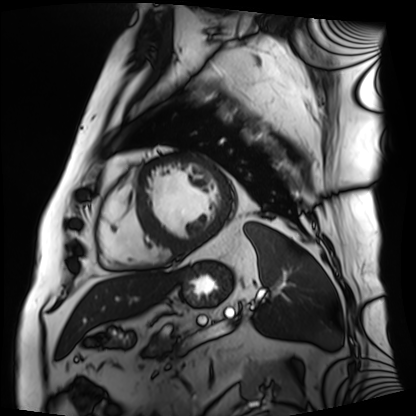
Summary:
Cardiac MRI. Subject group: patient.